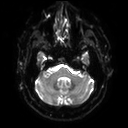
<scan>
<modality>
  <type>brain MRI</type>
  <field_strength>3T</field_strength>
</modality>
<series>diffusion tensor imaging (medium iso)</series>
<study_topic>ring-enhancing brain masses</study_topic>
</scan>